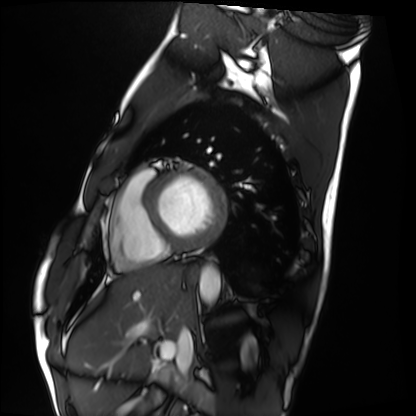
modality: cardiac MRI
cohort: healthy volunteer